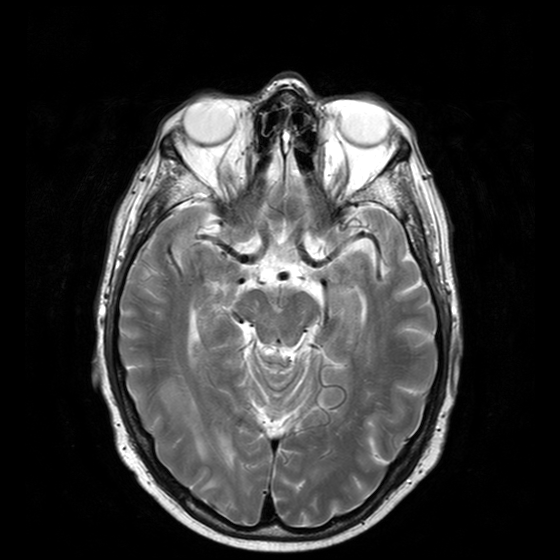
3 Tesla brain MRI. Series: T2-weighted turbo spin echo with CLEAR. Study: ring-enhancing brain masses.